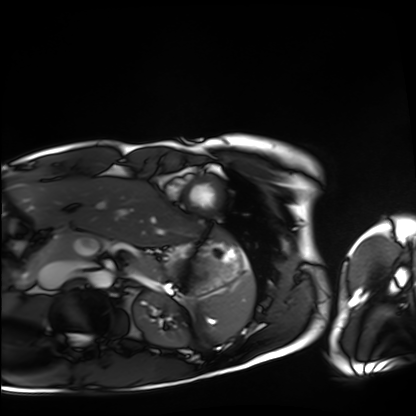
modality: cardiac MRI, subject group: healthy volunteer.